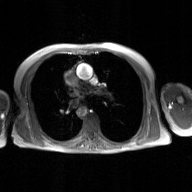
modality:
  type: 2D phase-contrast cine MRI
  region: ascending aorta
  reconstruction: GAN super-resolution reconstruction